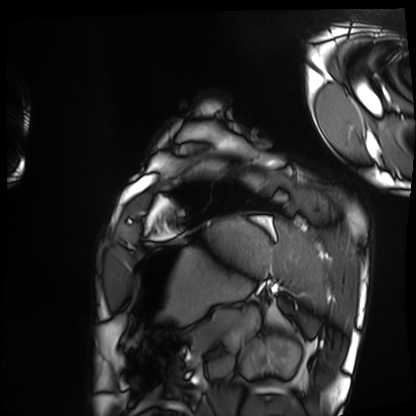
Cardiac MRI.
Subject group: healthy volunteer.